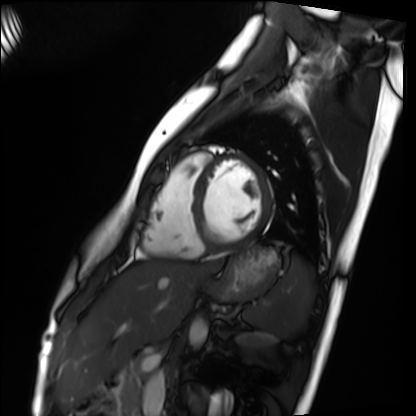
modality: cardiac MRI
subject group: healthy volunteer